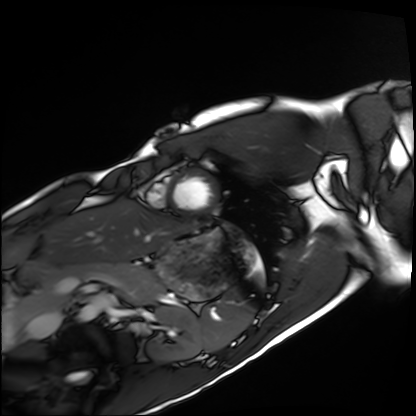
* modality: cardiac MRI
* subject group: healthy volunteer